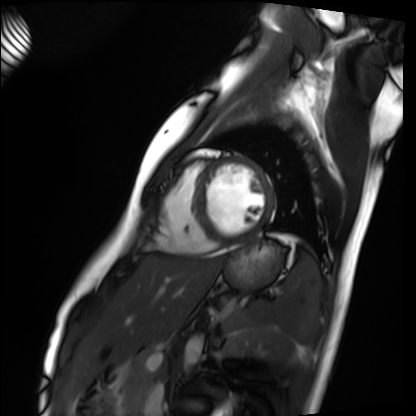
Cardiac MRI. Subject group: healthy volunteer.